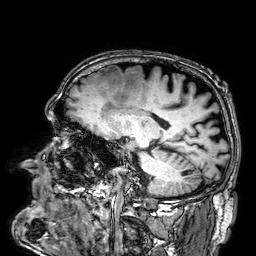
Clinical context: 3 Tesla brain MRI. Series: 3D T1-weighted. Study: ring-enhancing brain masses.